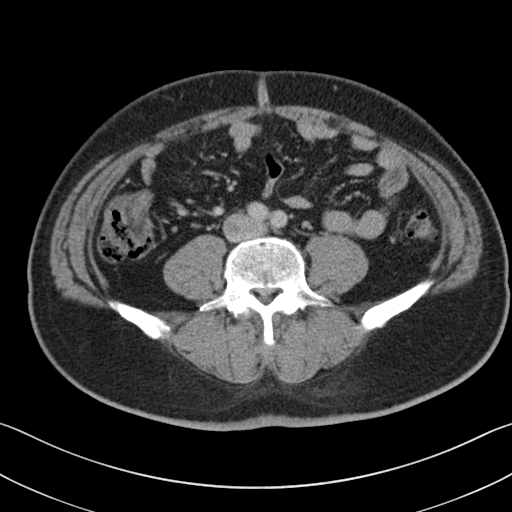
Q: What kind of scan is this?
A: Multiphase abdominal CT, liver, portal venous phase.
Q: Patient?
A: Male, age 48.
Q: History?
A: Viral hepatitis.